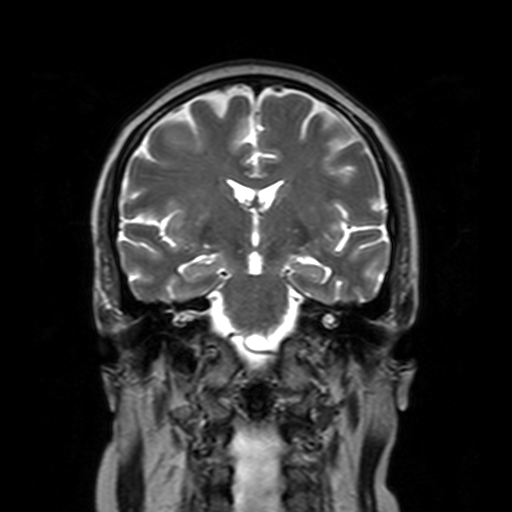
Q: What kind of scan is this?
A: 3 Tesla brain MRI.
Study: ring-enhancing brain masses.